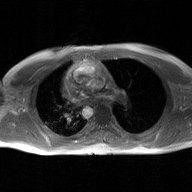
2D phase-contrast cine MRI of the ascending aorta, GAN super-resolution reconstruction.